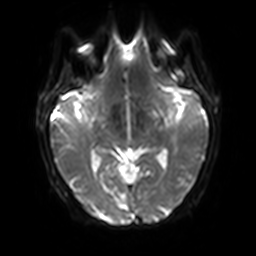
Q: What kind of scan is this?
A: 3 Tesla brain MRI.
Q: Series?
A: Diffusion-weighted imaging with SENSE (WIP).
Study: ring-enhancing brain masses.